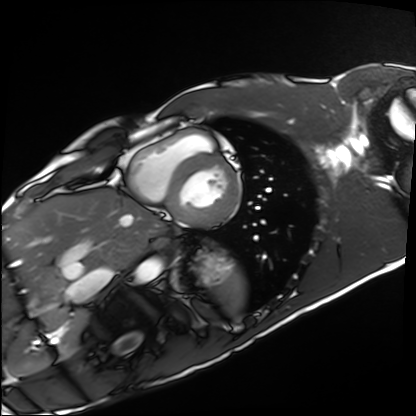
Case summary:
Cardiac MRI. Subject group: healthy volunteer.